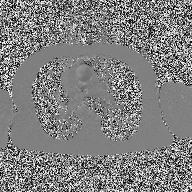
- modality · 2D phase-contrast cine MRI of the ascending aorta